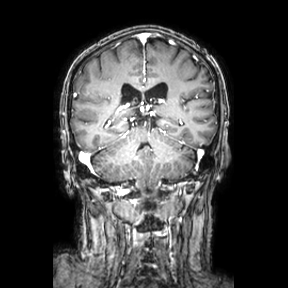
modality = 3 Tesla brain MRI
series = coronal
study = ring-enhancing brain masses